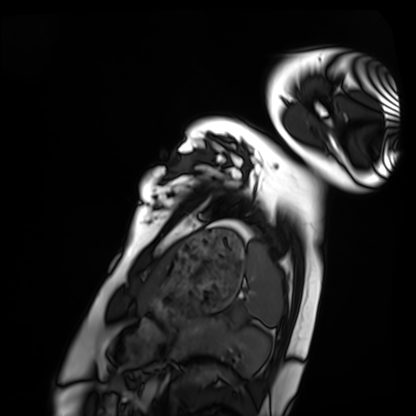
Cardiac MRI.
Subject group: healthy volunteer.